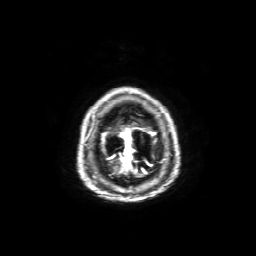
3 Tesla brain MRI. Series: axial T1-weighted fusion image. Study: ring-enhancing brain masses.